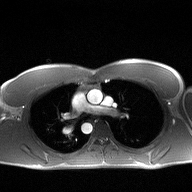
modality=2D phase-contrast cine MRI of the ascending aorta.